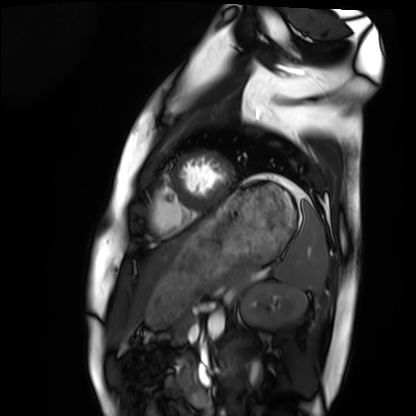
{"modality": "cardiac MRI", "cohort": "healthy volunteer"}